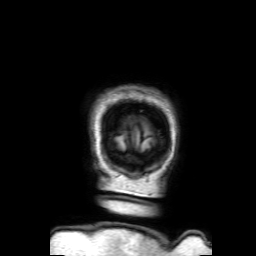
| field | value |
|---|---|
| modality | 3 Tesla brain MRI |
| series | 3D T1-weighted with SENSE |
| study | ring-enhancing brain masses |